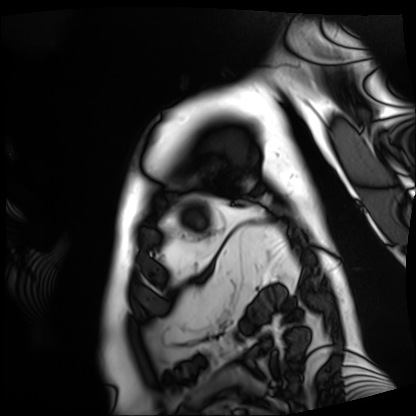
– modality: cardiac MRI
– subject group: patient